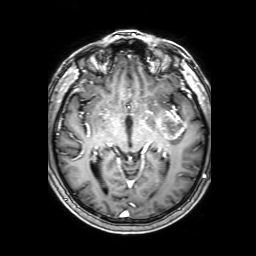
modality: 3 Tesla brain MRI; study: ring-enhancing brain masses.